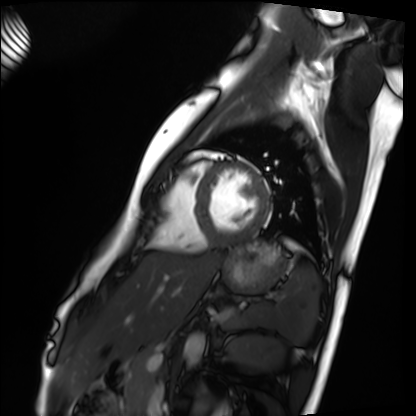
modality = cardiac MRI | subject group = healthy volunteer.